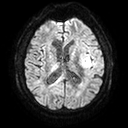
3 Tesla brain MRI. Series: diffusion tensor imaging (medium iso). Study: ring-enhancing brain masses.